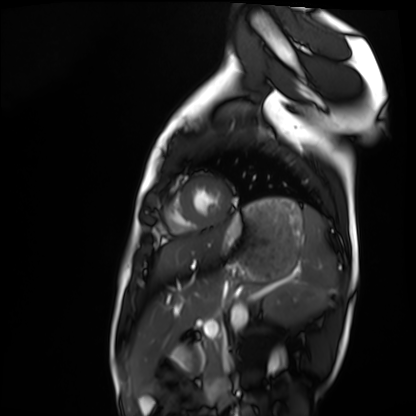
<study>
  <modality>cardiac MRI</modality>
  <cohort>healthy volunteer</cohort>
</study>